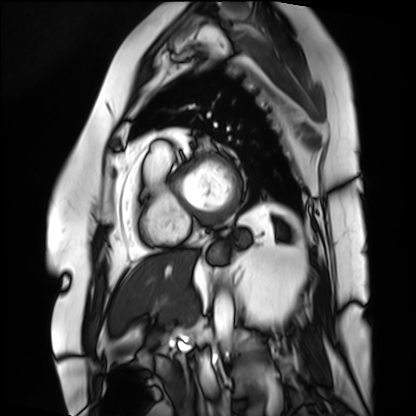
Case summary: Cardiac MRI. Subject group: patient.